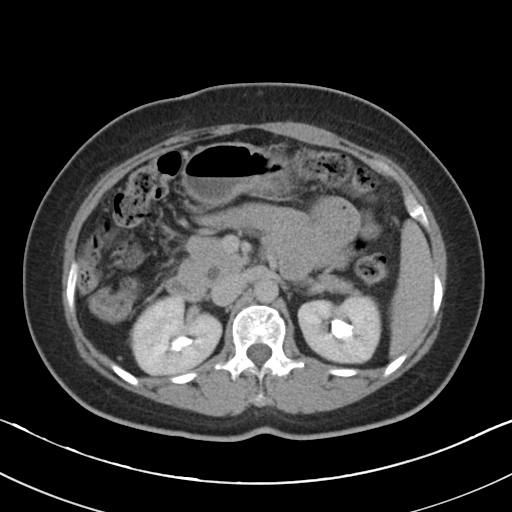
Case:
- modality: multiphase abdominal CT, liver, delayed phase
- patient: female, age 50
- history: cirrhosis, viral hepatitis